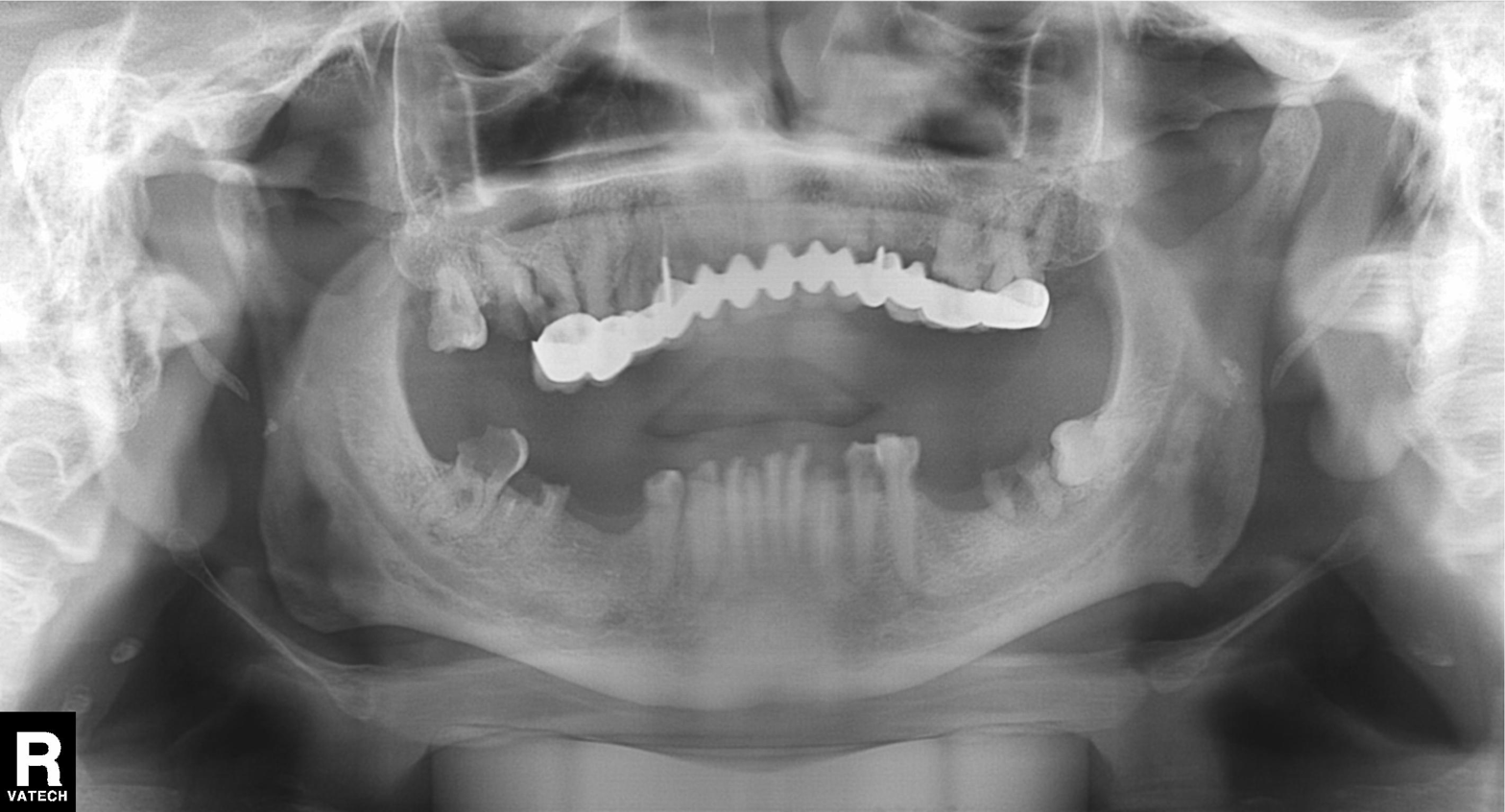
modality = panoramic dental radiograph (orthopantomogram); finding = dental caries (cavities).